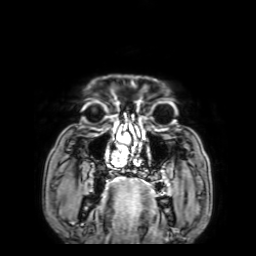
3 Tesla brain MRI.
Series: 3D T1-weighted with SENSE.
Study: ring-enhancing brain masses.